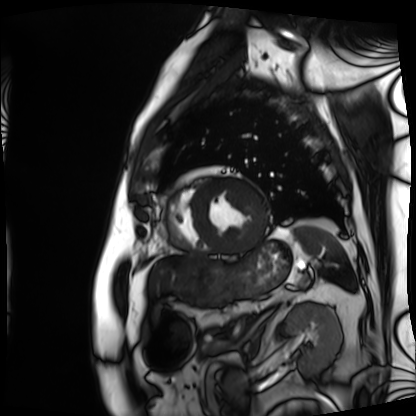
<case>
<modality>cardiac MRI</modality>
<cohort>patient</cohort>
</case>